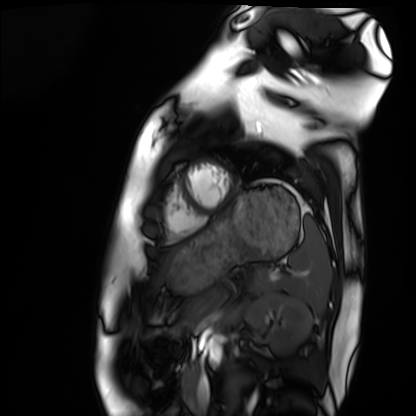
Cardiac MRI. Subject group: healthy volunteer.